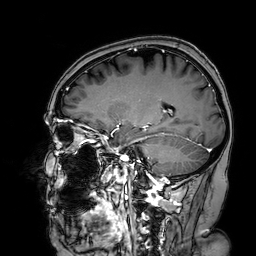
3 Tesla brain MRI.
Series: 3D T1-weighted turbo field echo with SENSE.
Study: ring-enhancing brain masses.